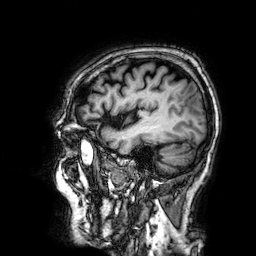
modality: 3 Tesla brain MRI | series: 3D T1-weighted | study: ring-enhancing brain masses.